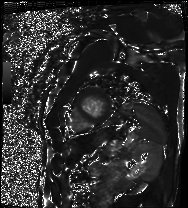
Case summary: Cardiac MRI. Subject group: patient.